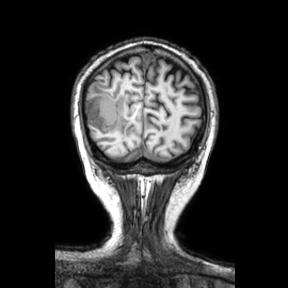
3 Tesla brain MRI.
Series: coronal.
Study: ring-enhancing brain masses.